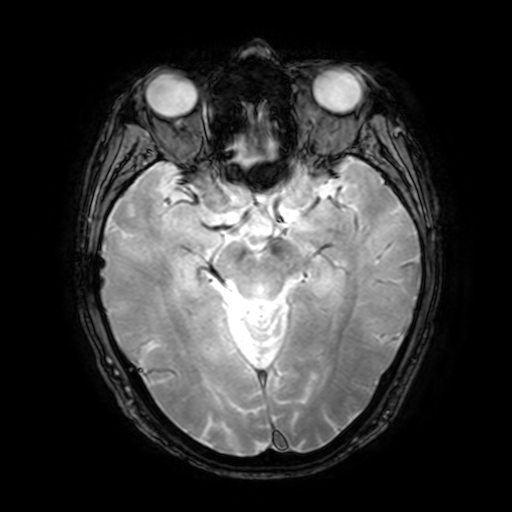
Q: What kind of scan is this?
A: 3 Tesla brain MRI.
Q: Series?
A: T2-weighted fast field echo with SENSE.
Study: ring-enhancing brain masses.